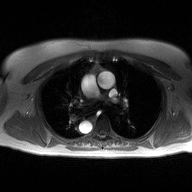
2D phase-contrast cine MRI of the ascending aorta, high-resolution GRAPPA acquisition.